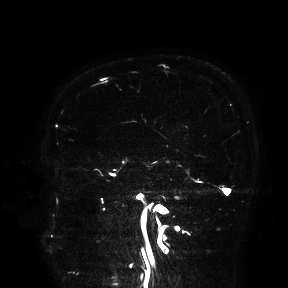
3 Tesla brain MRI.
Study: ring-enhancing brain masses.